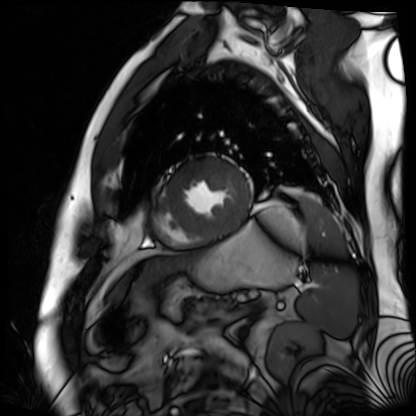
| field | value |
|---|---|
| modality | cardiac MR image of the myocardium |
| subject cohort | cardiac patient |